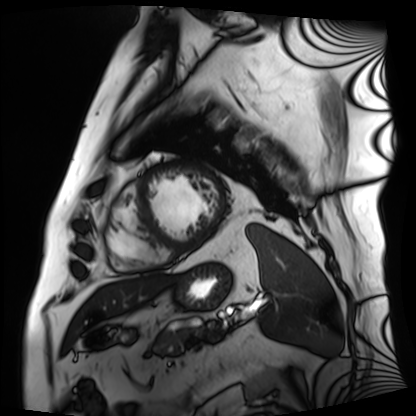
<scan>
<modality>cardiac MRI</modality>
<cohort>patient</cohort>
</scan>